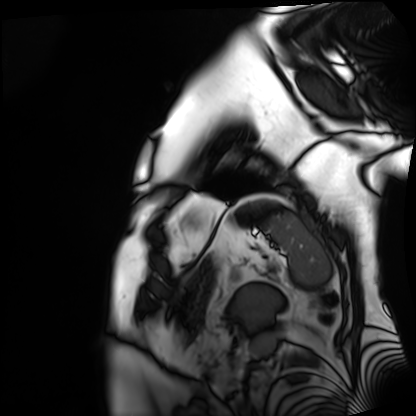
{
  "modality": "cardiac MRI",
  "cohort": "patient"
}